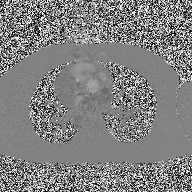
<scan>
<modality>
  <type>2D phase-contrast cine MRI</type>
  <region>ascending aorta</region>
  <reconstruction>high-resolution GRAPPA acquisition</reconstruction>
</modality>
</scan>